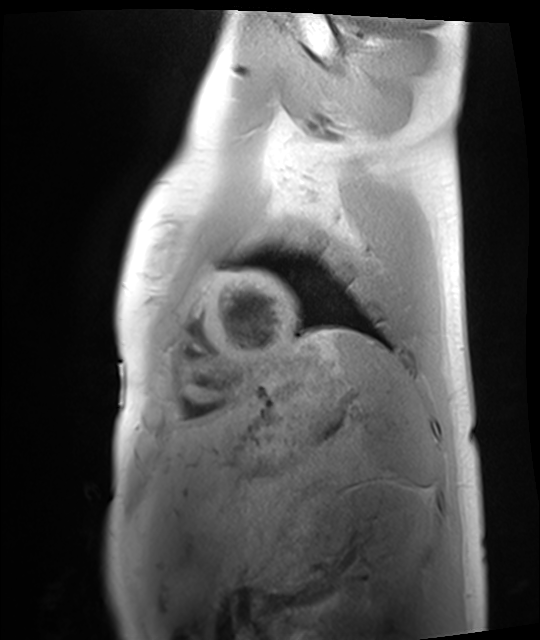
modality: cardiac MRI
cohort: healthy volunteer